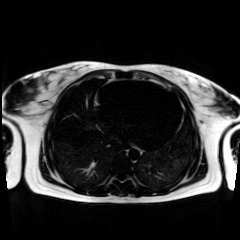
Chemical-shift-encoded cardiac MRI.